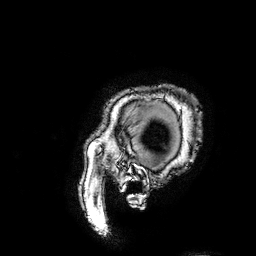
modality: 3 Tesla brain MRI; series: 3D T1-weighted turbo field echo with SENSE; study: ring-enhancing brain masses.